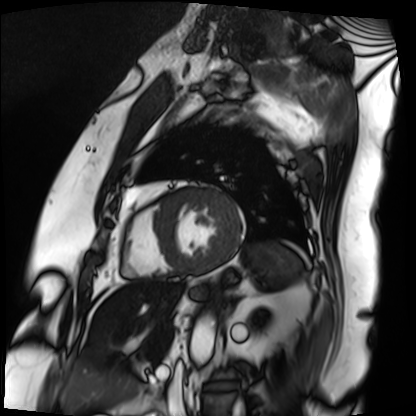
Cardiac MRI.
Subject group: patient.